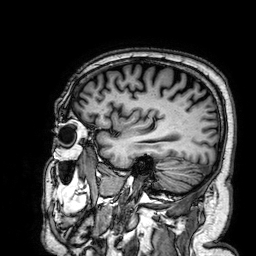
Case summary:
3 Tesla brain MRI. Series: 3D T1-weighted. Study: ring-enhancing brain masses.